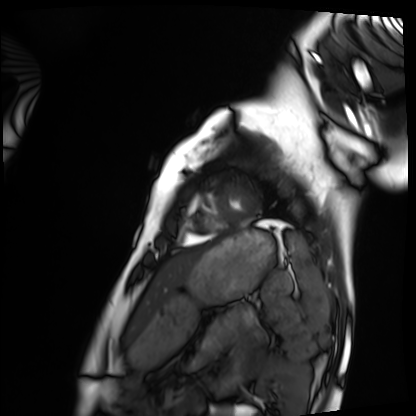
- modality: cardiac MRI
- subject group: healthy volunteer